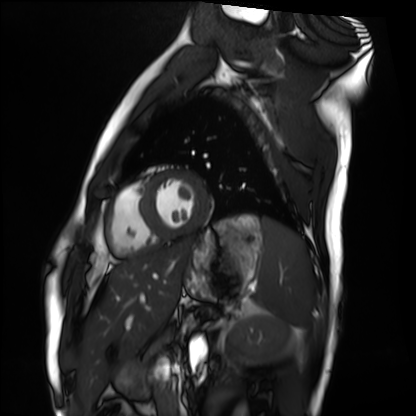
{
  "modality": "cardiac MRI",
  "cohort": "healthy volunteer"
}